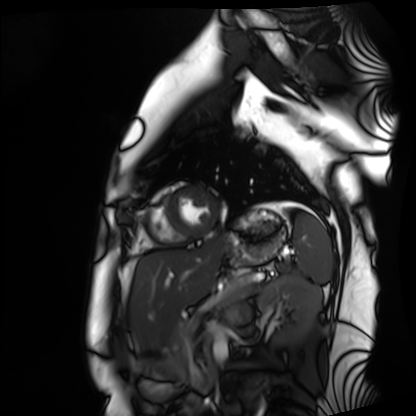
modality — cardiac MRI
subject group — healthy volunteer